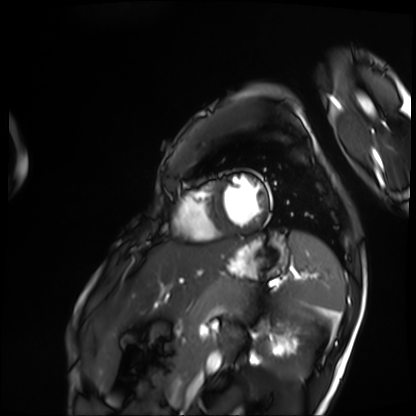
<scan>
  <modality>cardiac MRI</modality>
  <cohort>patient</cohort>
</scan>